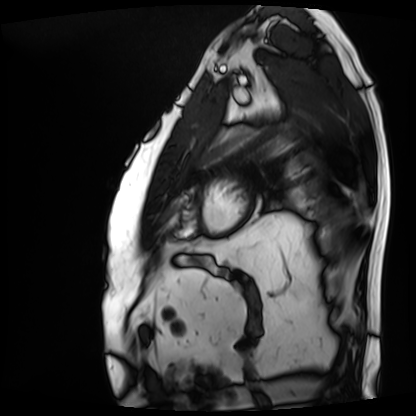
Cardiac MRI. Subject group: patient.